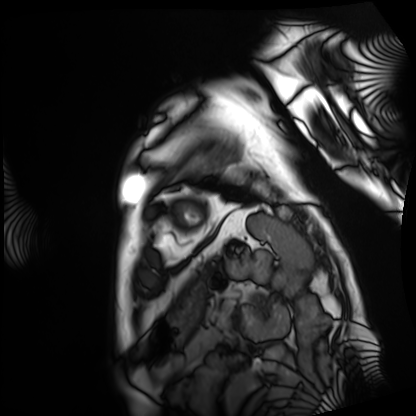
{"modality": "cardiac MRI", "cohort": "patient"}